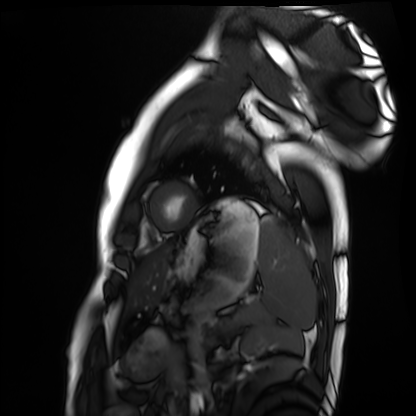
modality: cardiac MRI; subject group: healthy volunteer.